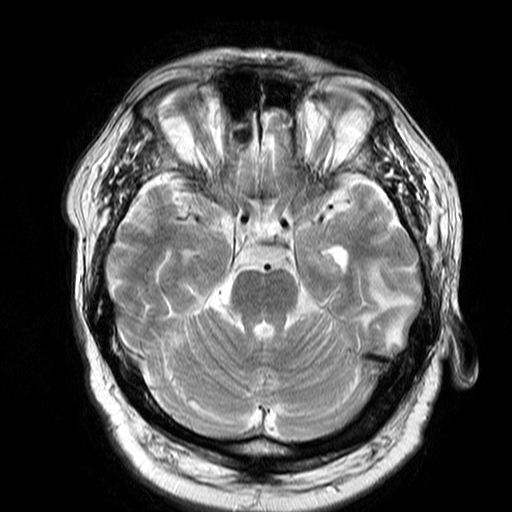
3 Tesla brain MRI. Series: T2-weighted turbo spin echo. Study: ring-enhancing brain masses.